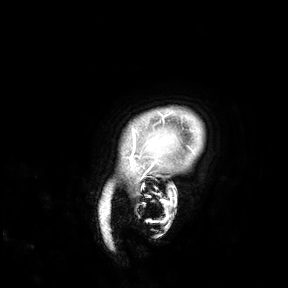
3 Tesla brain MRI. Study: ring-enhancing brain masses.